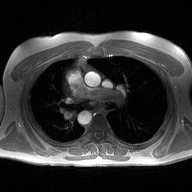
2D phase-contrast cine MRI of the ascending aorta, high-resolution GRAPPA acquisition.